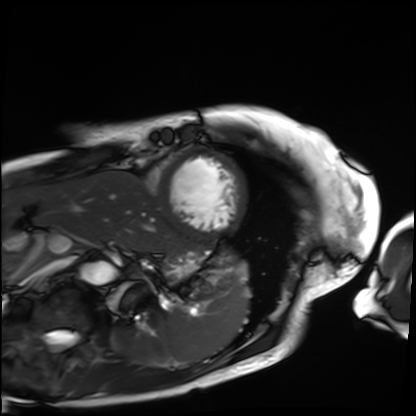
{
  "modality": "cardiac MRI",
  "cohort": "patient"
}